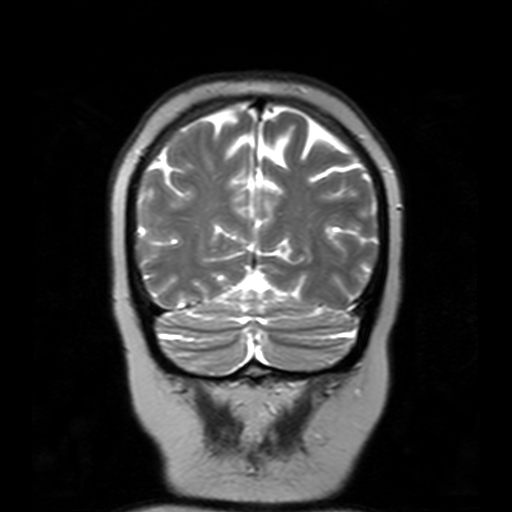
3 Tesla brain MRI.
Series: T2-weighted turbo spin echo with SENSE.
Study: ring-enhancing brain masses.